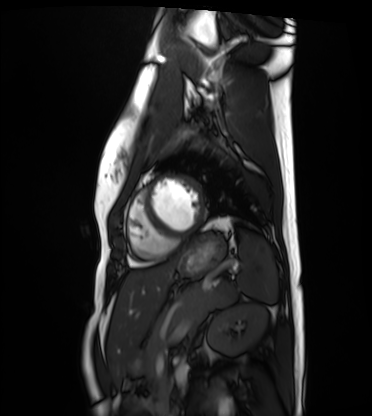
Cardiac MRI. Subject group: healthy volunteer.